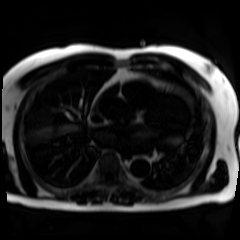
modality: chemical-shift-encoded cardiac MRI